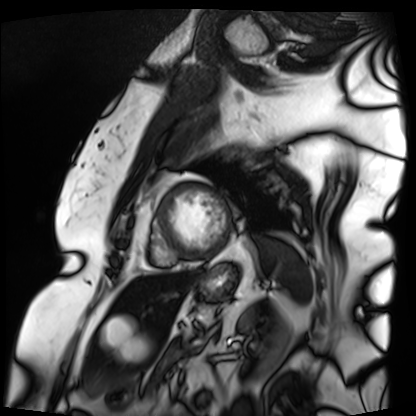
Q: What kind of scan is this?
A: Cardiac MRI.
Subject group: patient.